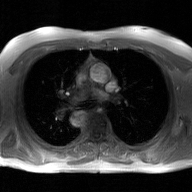
Summary:
2D phase-contrast cine MRI of the ascending aorta, GAN super-resolution reconstruction.